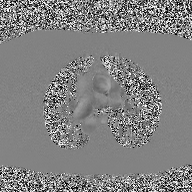
modality = 2D phase-contrast cine MRI of the ascending aorta.